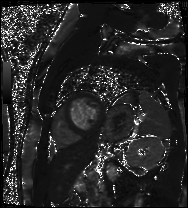
{"modality": "cardiac MR image of the myocardium", "cohort": "cardiac patient"}